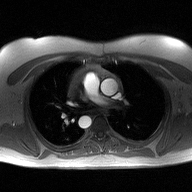
– modality · 2D phase-contrast cine MRI of the ascending aorta